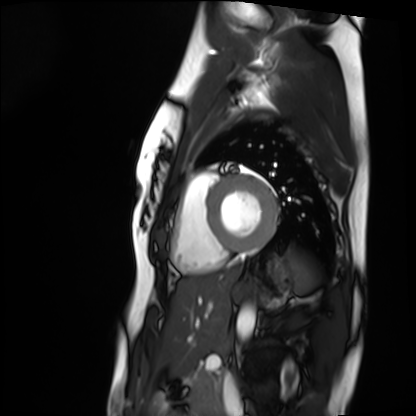
– modality · cardiac MRI
– subject group · healthy volunteer